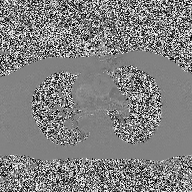
- modality: 2D phase-contrast cine MRI of the ascending aorta